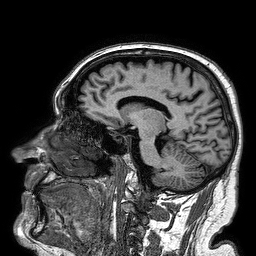
3 Tesla brain MRI. Series: 3D T1-weighted turbo field echo. Study: ring-enhancing brain masses.